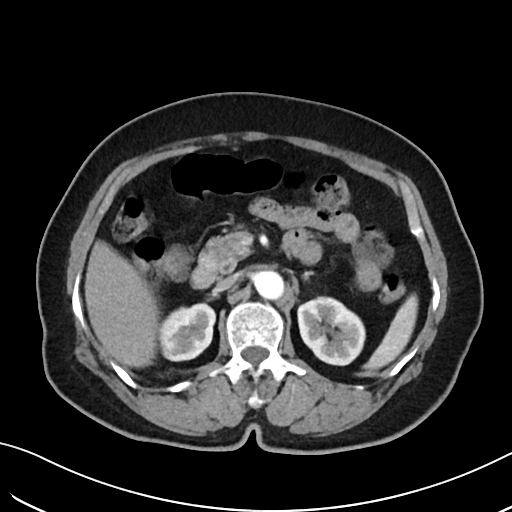
modality — multiphase abdominal CT, liver, arterial phase | patient — female, age 62.